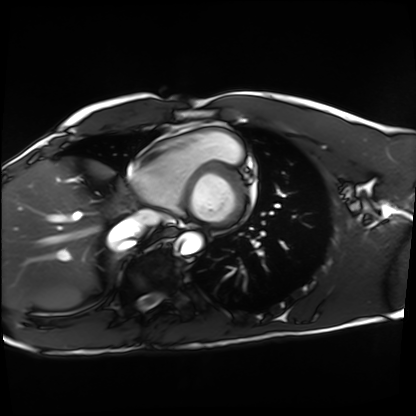
- modality — cardiac MRI
- subject group — healthy volunteer